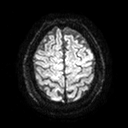
3 Tesla brain MRI. Series: diffusion tensor imaging (medium iso). Study: ring-enhancing brain masses.